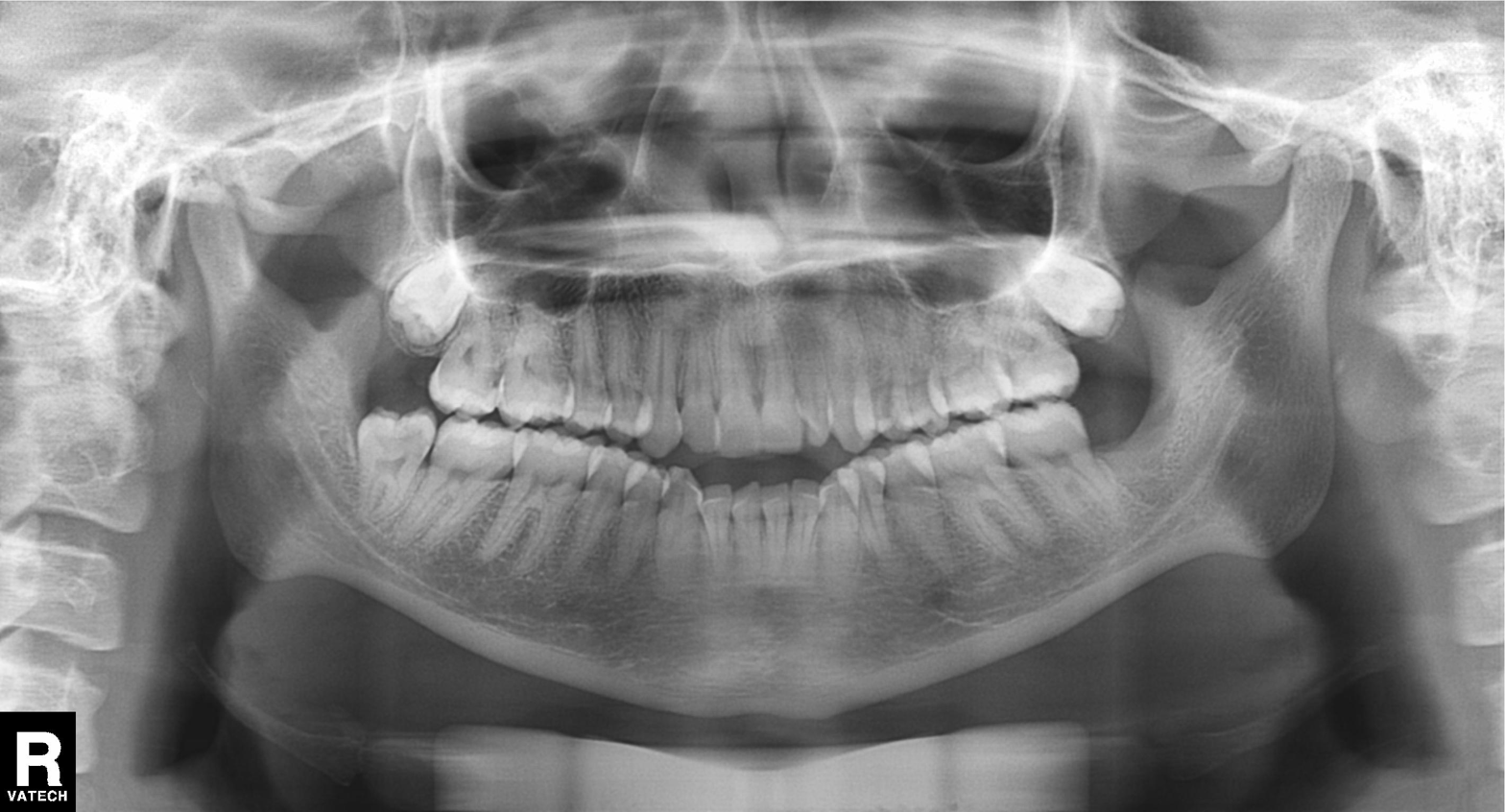
Panoramic dental radiograph (orthopantomogram). Finding: alveolar bone loss.